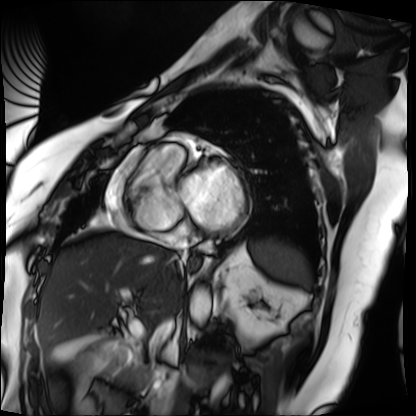
modality — cardiac MRI; subject group — patient.